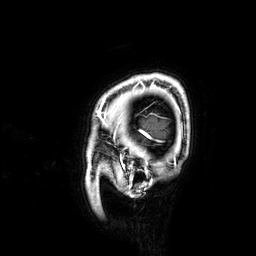
modality:
  type: brain MRI
  field_strength: 3T
series: 3D T1-weighted
study_topic: ring-enhancing brain masses